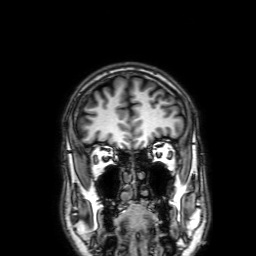
modality: 3 Tesla brain MRI | series: 3D T1-weighted with SENSE | study: ring-enhancing brain masses.